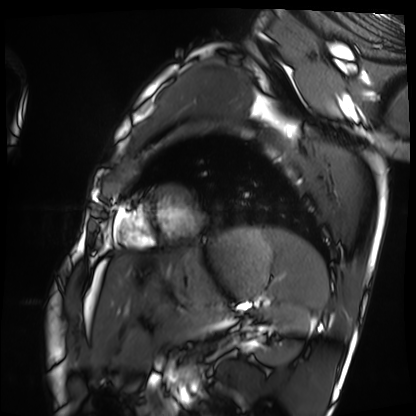
Cardiac MRI.
Subject group: healthy volunteer.